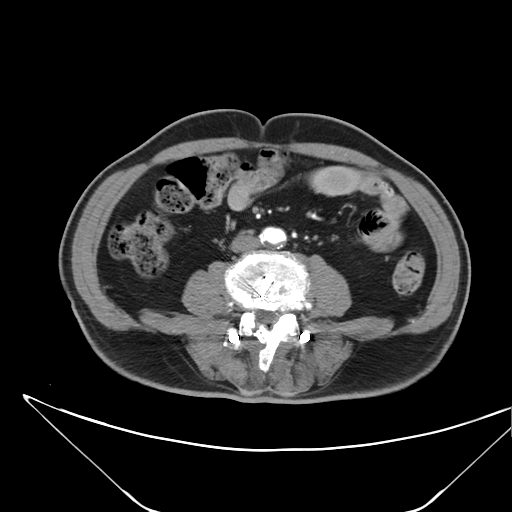
- modality · multiphase abdominal CT, liver, arterial phase